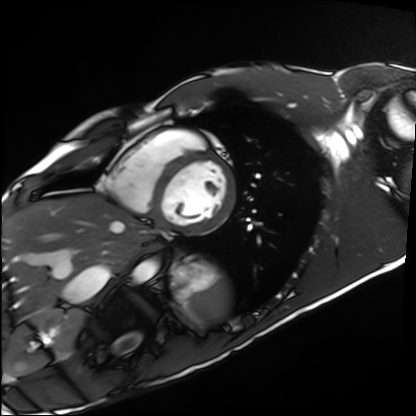
Cardiac MRI. Subject group: healthy volunteer.